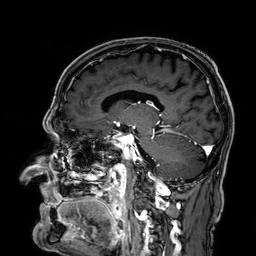
modality = 3 Tesla brain MRI; series = 3D T1-weighted; study = ring-enhancing brain masses.